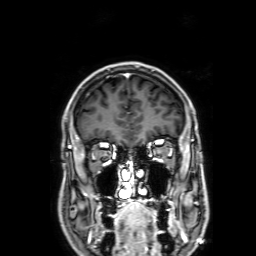
modality = 3 Tesla brain MRI; series = 3D T1-weighted with SENSE; study = ring-enhancing brain masses.